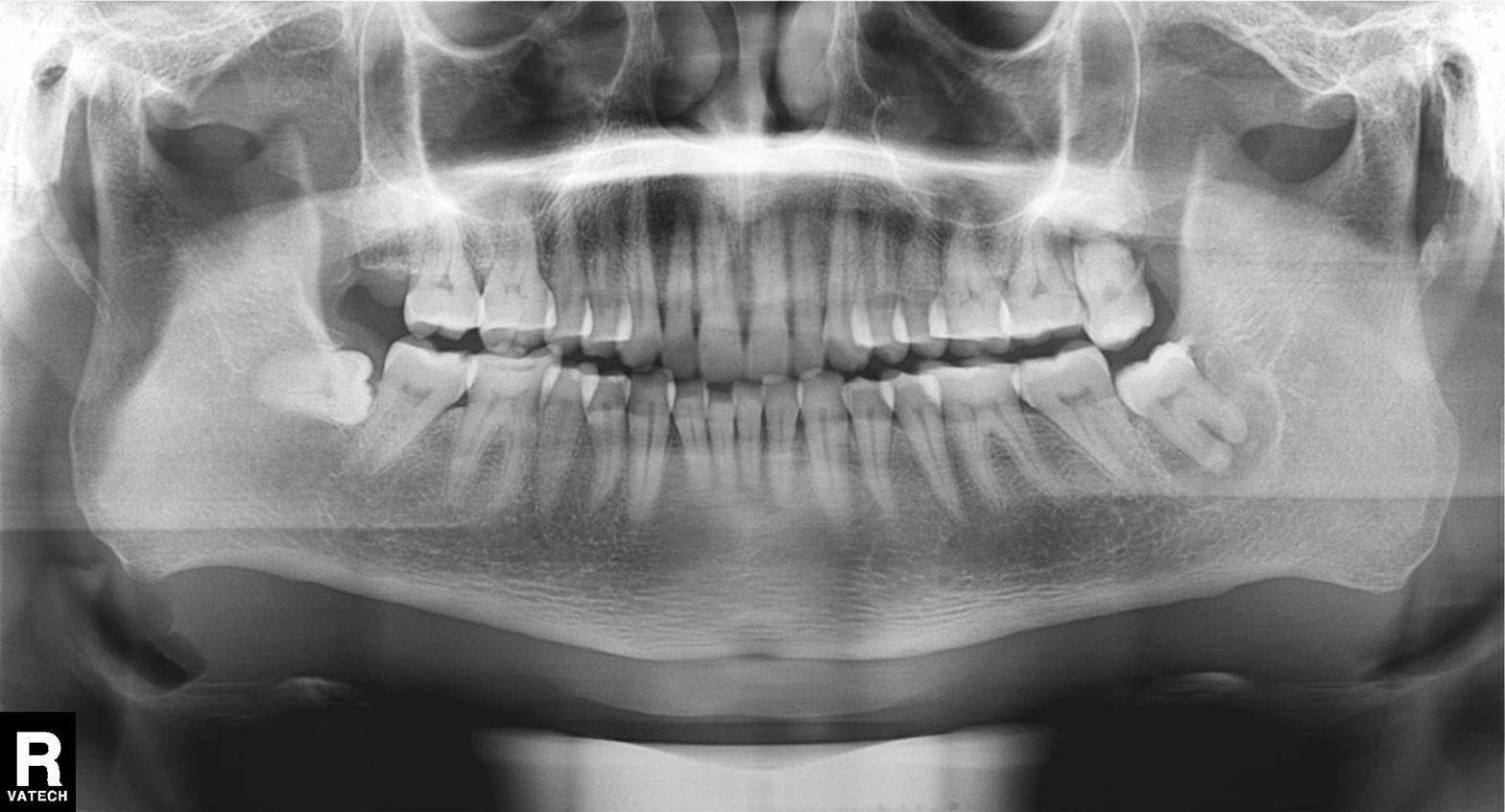
modality: panoramic dental radiograph (orthopantomogram); finding: dental caries (cavities).